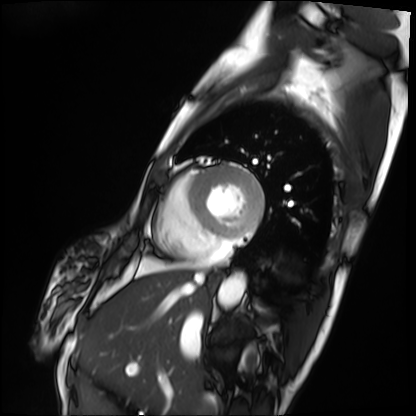
modality: cardiac MRI
subject group: patient